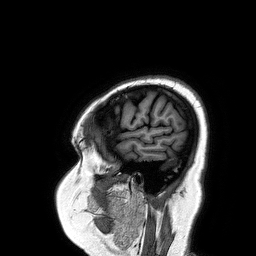
| field | value |
|---|---|
| modality | 3 Tesla brain MRI |
| series | 3D T1-weighted turbo field echo |
| study | ring-enhancing brain masses |